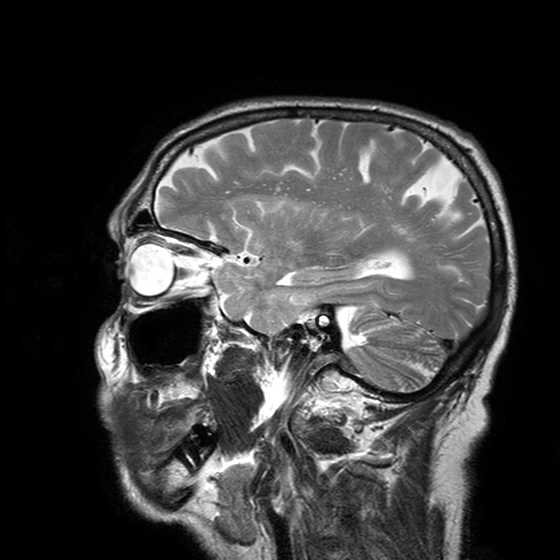
Clinical context: 3 Tesla brain MRI. Study: ring-enhancing brain masses.